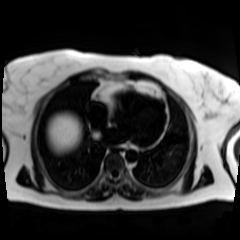
Summary:
Chemical-shift-encoded cardiac MRI.